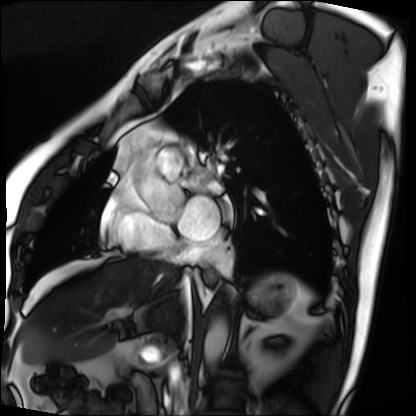
Cardiac MRI.
Subject group: patient.